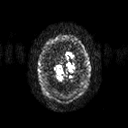
Summary:
3 Tesla brain MRI. Series: diffusion tensor imaging (medium iso). Study: ring-enhancing brain masses.